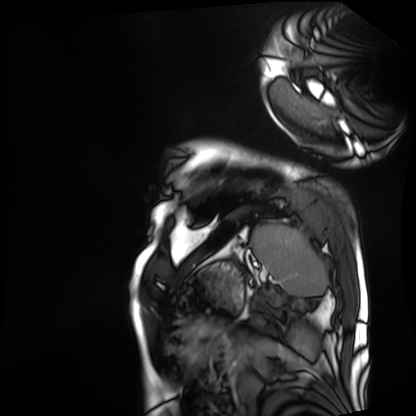
Q: What kind of scan is this?
A: Cardiac MRI.
Subject group: patient.